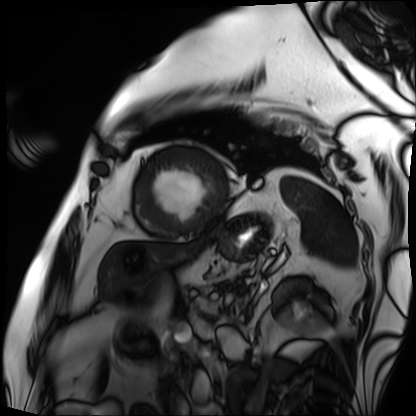
Cardiac MRI. Subject group: patient.